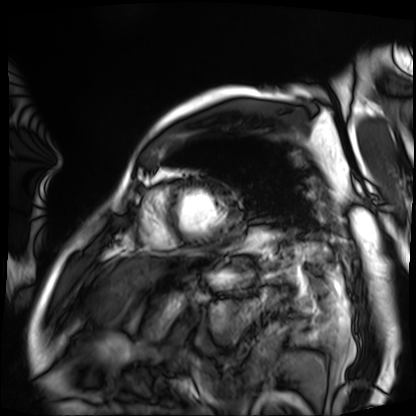
<study>
<modality>cardiac MRI</modality>
<cohort>patient</cohort>
</study>